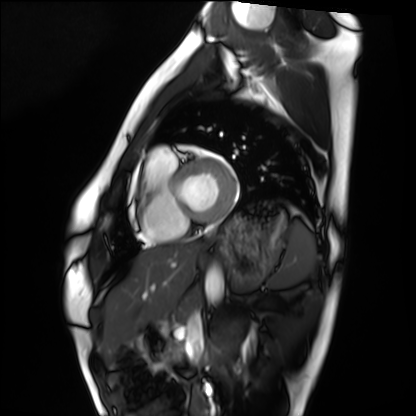
{
  "modality": "cardiac MRI",
  "cohort": "healthy volunteer"
}